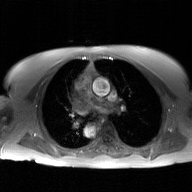
Case:
- modality — 2D phase-contrast cine MRI of the ascending aorta, GAN super-resolution reconstruction